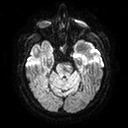
Q: What kind of scan is this?
A: 3 Tesla brain MRI.
Q: Series?
A: Diffusion tensor imaging (medium iso).
Study: ring-enhancing brain masses.